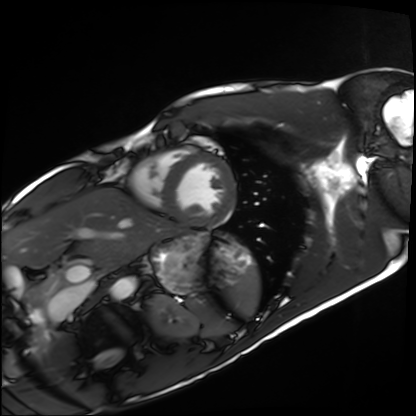
Q: What kind of scan is this?
A: Cardiac MRI.
Subject group: healthy volunteer.